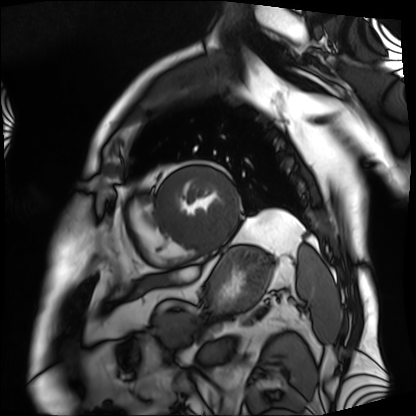
Cardiac MRI.
Subject group: patient.